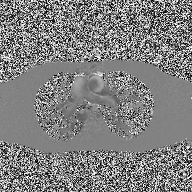
2D phase-contrast cine MRI of the ascending aorta, high-resolution GRAPPA acquisition.